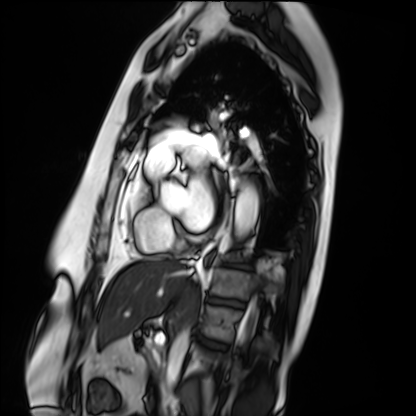
Case:
* modality · cardiac MRI
* subject group · patient